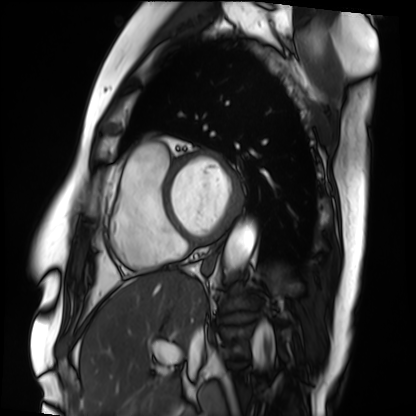
* modality · cardiac MRI
* subject group · patient